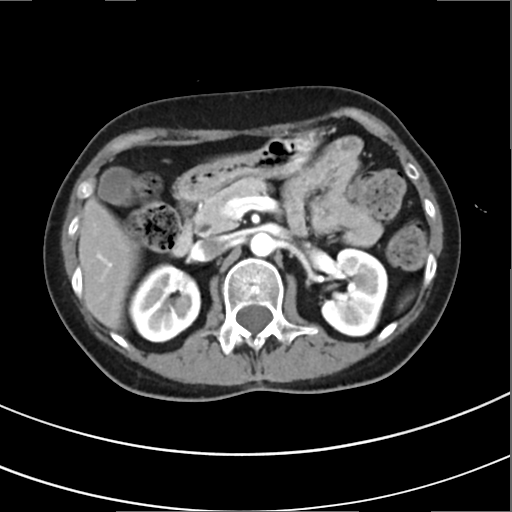
Multiphase abdominal CT, liver, arterial phase. Patient: female, age 50. History: prior chemotherapy.